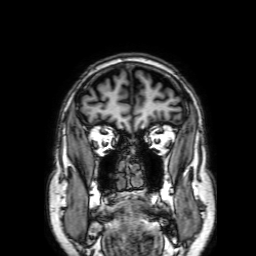
3 Tesla brain MRI. Series: 3D T1-weighted with SENSE. Study: ring-enhancing brain masses.